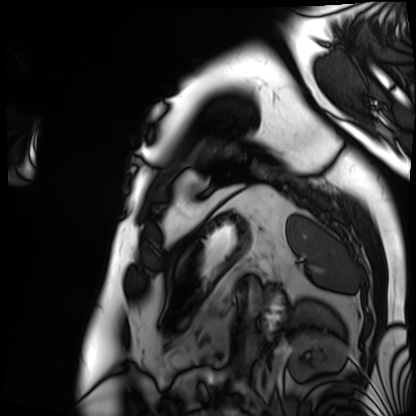
modality = cardiac MRI, subject group = patient.